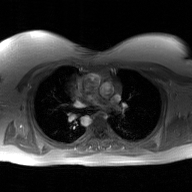
2D phase-contrast cine MRI of the ascending aorta, GAN super-resolution reconstruction.